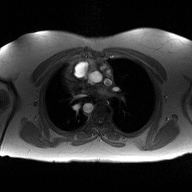
– modality: 2D phase-contrast cine MRI of the ascending aorta